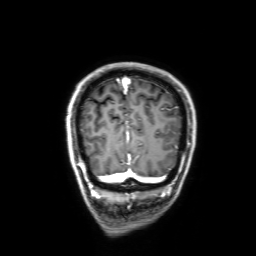
modality = 3 Tesla brain MRI | series = 3D T1-weighted with SENSE | study = ring-enhancing brain masses.